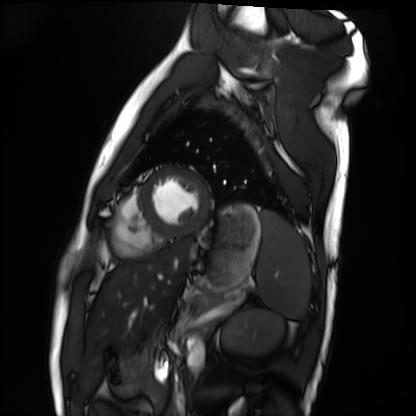
modality=cardiac MRI
subject group=healthy volunteer